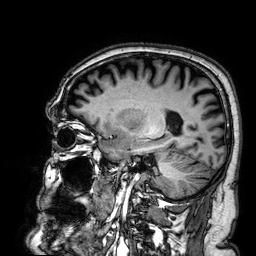
Summary: 3 Tesla brain MRI. Series: 3D T1-weighted. Study: ring-enhancing brain masses.